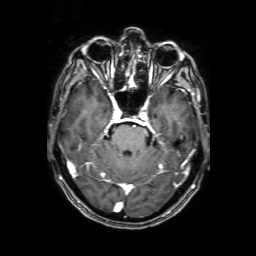
modality = 3 Tesla brain MRI | series = 3D T1-weighted with SENSE | study = ring-enhancing brain masses.